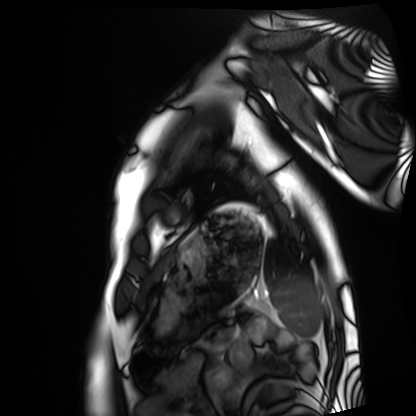
Cardiac MRI.
Subject group: healthy volunteer.